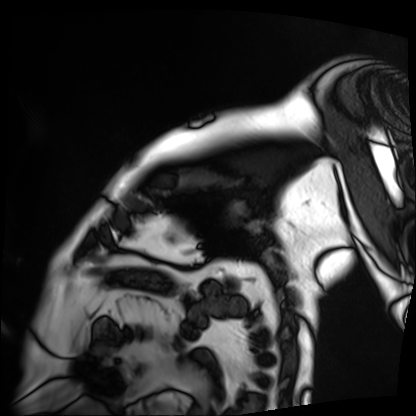
Cardiac MRI.
Subject group: patient.